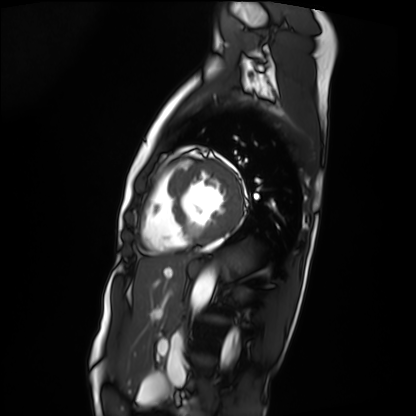
Summary: Cardiac MRI. Subject group: patient.